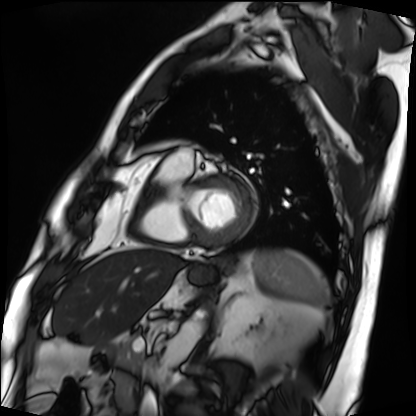
modality: cardiac MRI; subject group: patient.